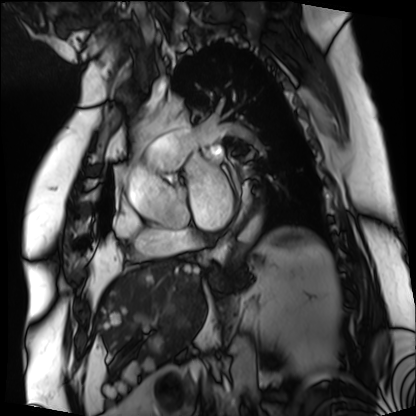
Case summary:
Cardiac MRI. Subject group: patient.